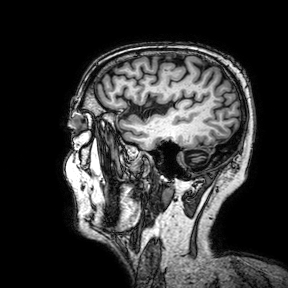
{
  "modality": {
    "type": "brain MRI",
    "field_strength": "3T"
  },
  "series": "3D T1-weighted turbo field echo with SENSE",
  "study_topic": "ring-enhancing brain masses"
}